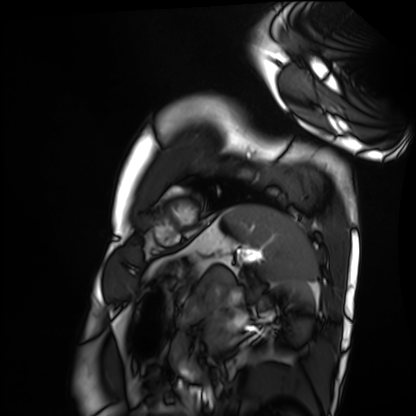
Q: What kind of scan is this?
A: Cardiac MRI.
Subject group: healthy volunteer.